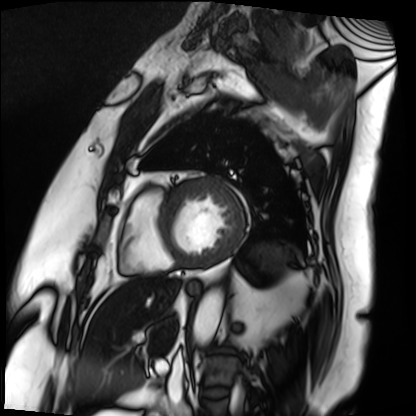
Cardiac MRI. Subject group: patient.